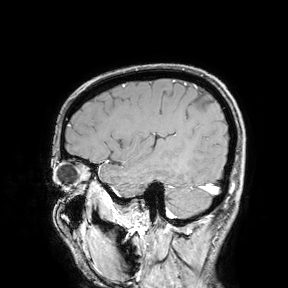
3 Tesla brain MRI.
Study: ring-enhancing brain masses.